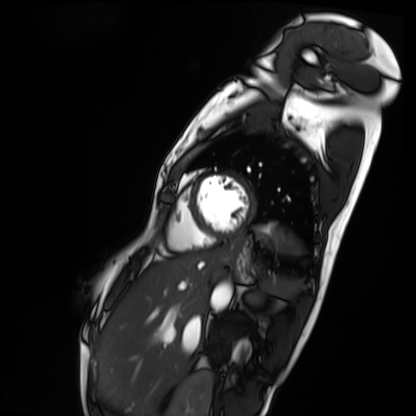
Case:
– modality · cardiac MRI
– subject group · patient